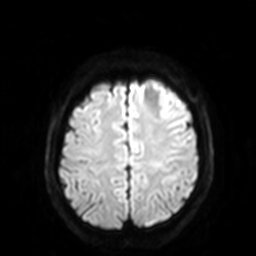
– modality: 3 Tesla brain MRI
– series: diffusion-weighted imaging with SENSE (WIP)
– study: ring-enhancing brain masses